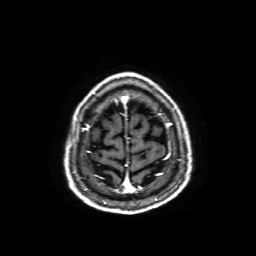
3 Tesla brain MRI.
Series: axial T1-weighted fusion image.
Study: ring-enhancing brain masses.